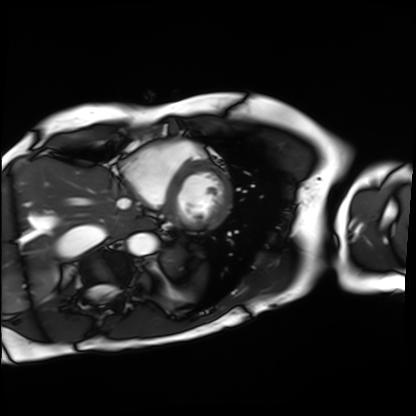
Case summary: Cardiac MRI. Subject group: patient.